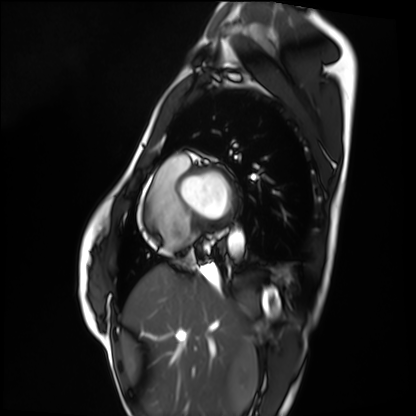
* modality: cardiac MRI
* subject group: healthy volunteer